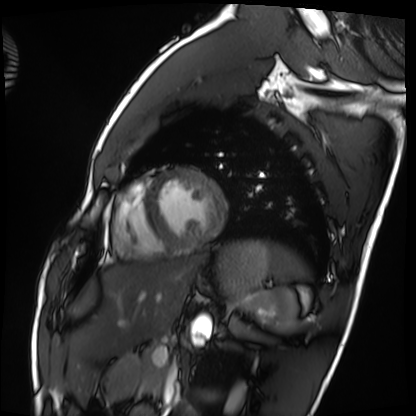
Cardiac MRI. Subject group: healthy volunteer.